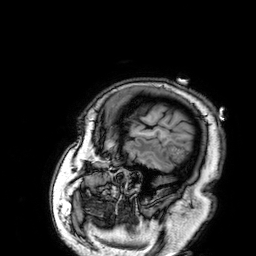
Q: What kind of scan is this?
A: 3 Tesla brain MRI.
Q: Series?
A: 3D T1-weighted.
Study: ring-enhancing brain masses.